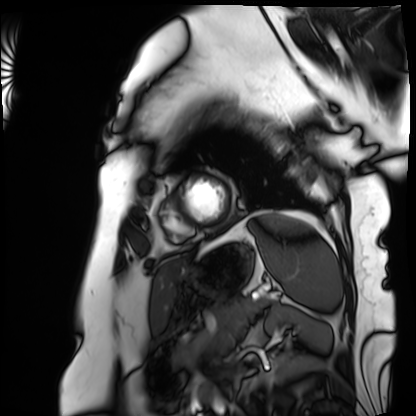
Cardiac MRI. Subject group: patient.